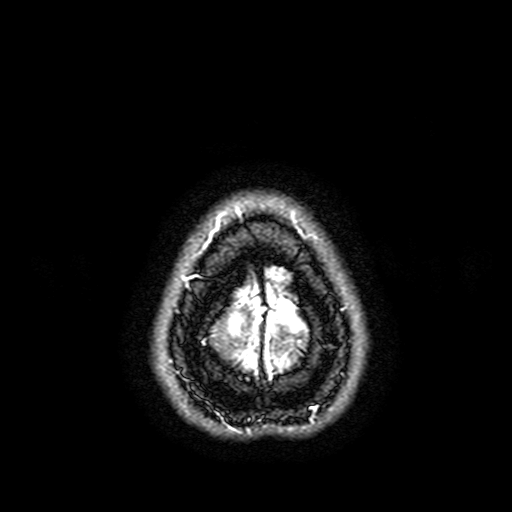
{
  "modality": {
    "type": "brain MRI",
    "field_strength": "3T"
  },
  "study_topic": "ring-enhancing brain masses"
}